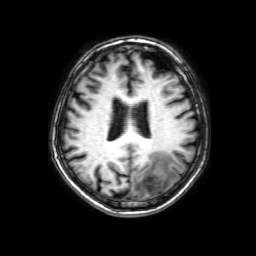
modality: 3 Tesla brain MRI
series: 3D T1-weighted with SENSE
study: ring-enhancing brain masses